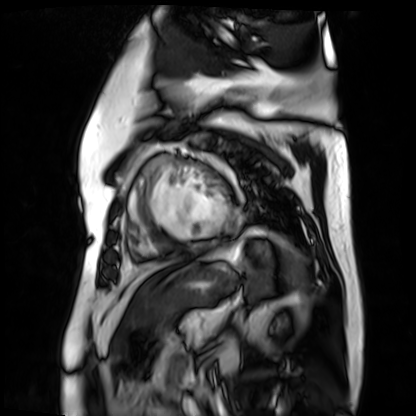
{
  "modality": "cardiac MR image of the myocardium",
  "cohort": "cardiac patient"
}